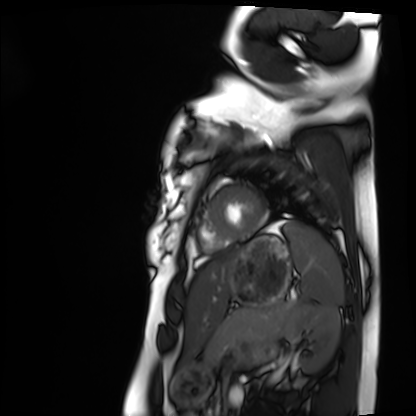
| field | value |
|---|---|
| modality | cardiac MRI |
| subject group | healthy volunteer |